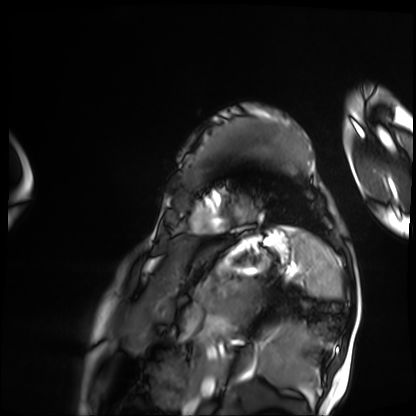
Q: What kind of scan is this?
A: Cardiac MRI.
Subject group: patient.